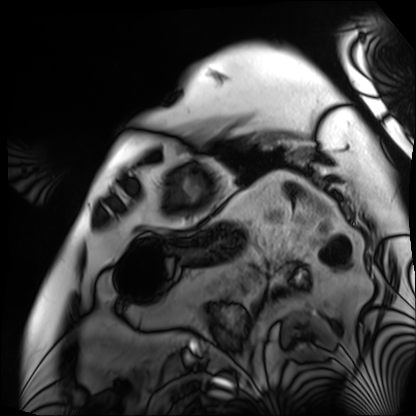
Cardiac MRI. Subject group: patient.